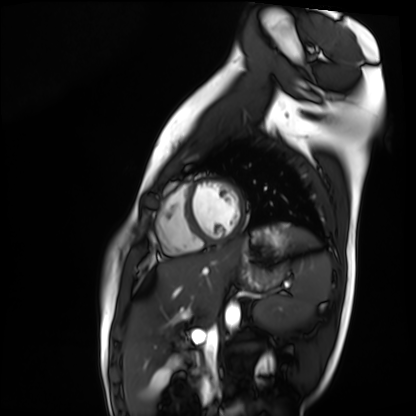
Case summary:
Cardiac MR image of the myocardium. Subject cohort: healthy volunteer.